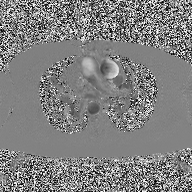
Q: What kind of scan is this?
A: 2D phase-contrast cine MRI of the ascending aorta.